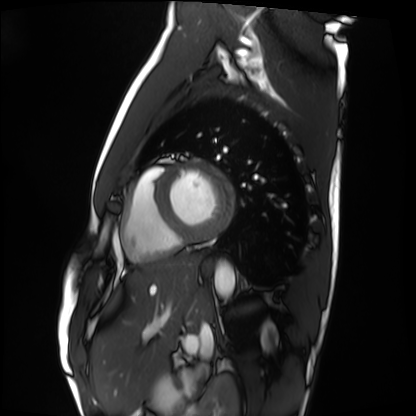
Cardiac MRI. Subject group: healthy volunteer.